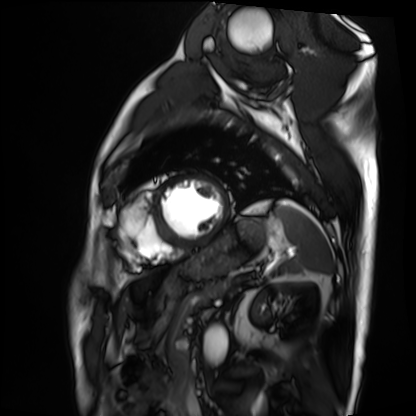
<study>
  <modality>cardiac MRI</modality>
  <cohort>patient</cohort>
</study>